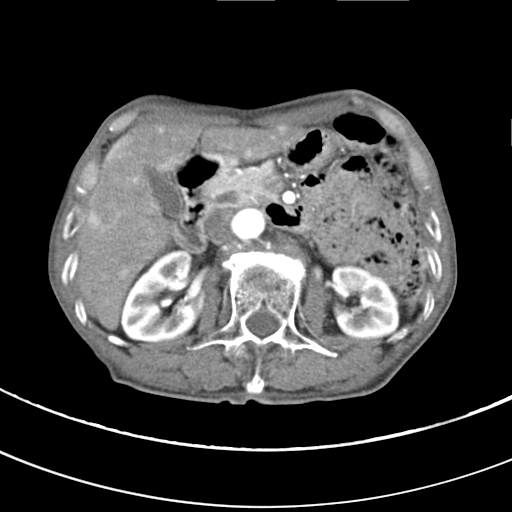
Q: What kind of scan is this?
A: Multiphase abdominal CT, liver, arterial phase.
Q: Patient?
A: Male, age 68.
Q: History?
A: Viral hepatitis.